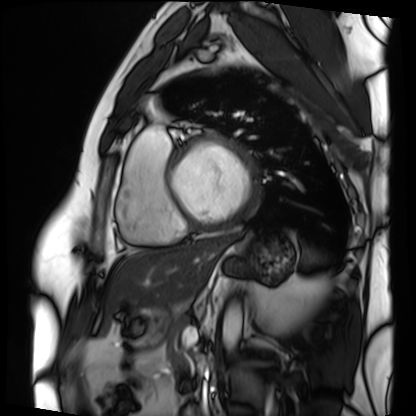
<study>
  <modality>cardiac MRI</modality>
  <cohort>patient</cohort>
</study>